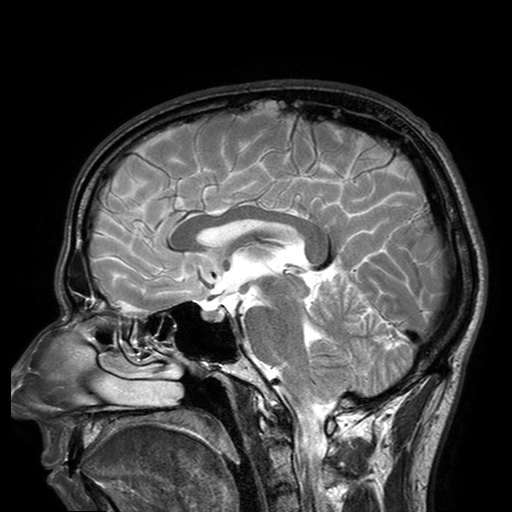
<case>
<modality>
  <type>brain MRI</type>
  <field_strength>3T</field_strength>
</modality>
<series>T2-weighted turbo spin echo with SENSE</series>
<study_topic>ring-enhancing brain masses</study_topic>
</case>